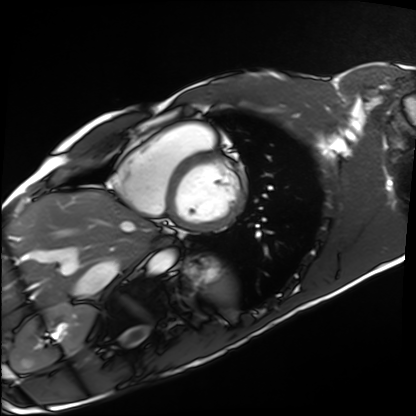
{"modality": "cardiac MRI", "cohort": "healthy volunteer"}